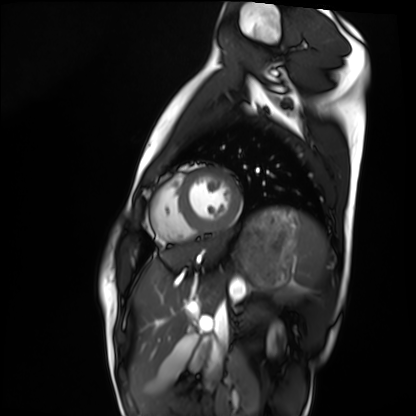
Cardiac MRI. Subject group: healthy volunteer.